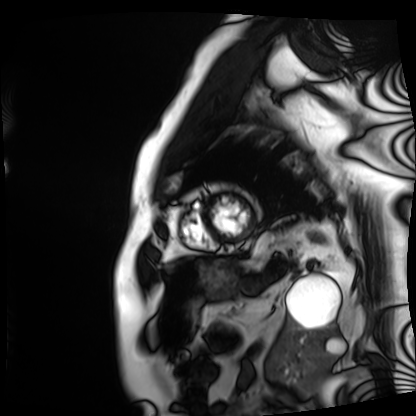
Clinical context:
Cardiac MRI. Subject group: patient.